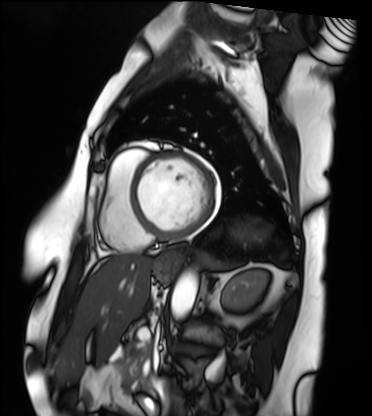
- modality · cardiac MRI
- subject group · patient